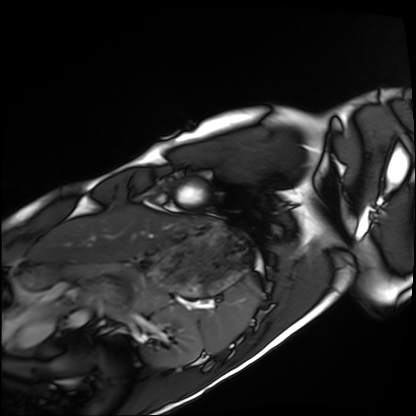
Q: What kind of scan is this?
A: Cardiac MRI.
Subject group: healthy volunteer.